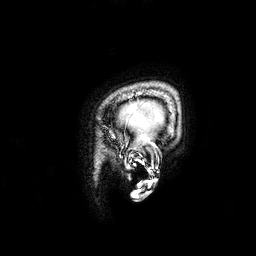
3 Tesla brain MRI. Series: 3D T1-weighted. Study: ring-enhancing brain masses.